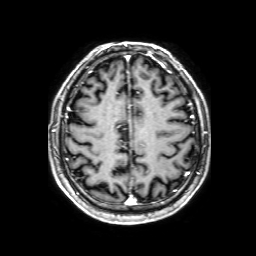
modality:
  type: brain MRI
  field_strength: 3T
series: 3D T1-weighted with SENSE
study_topic: ring-enhancing brain masses